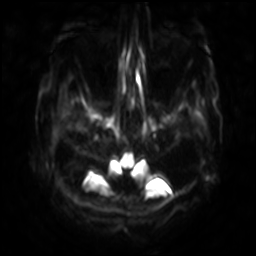
<study>
<modality>
  <type>brain MRI</type>
  <field_strength>3T</field_strength>
</modality>
<series>diffusion-weighted imaging with SENSE (WIP)</series>
<study_topic>ring-enhancing brain masses</study_topic>
</study>